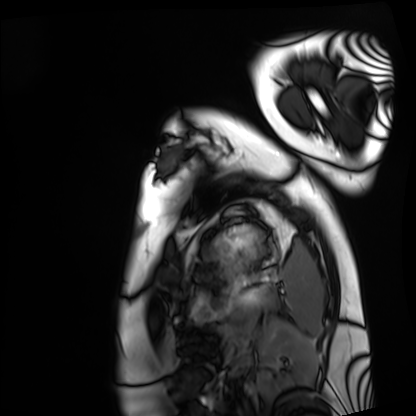
modality: cardiac MRI
cohort: healthy volunteer